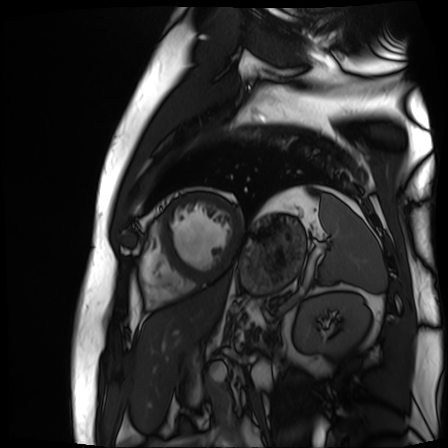
Summary:
Cardiac MR image of the myocardium. Subject cohort: cardiac patient.